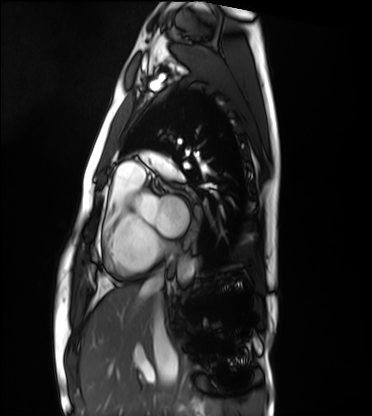
Cardiac MRI. Subject group: healthy volunteer.